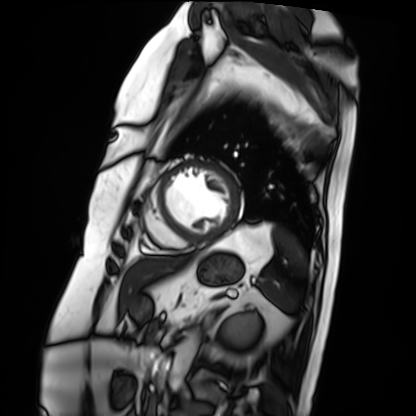
Cardiac MRI.
Subject group: patient.